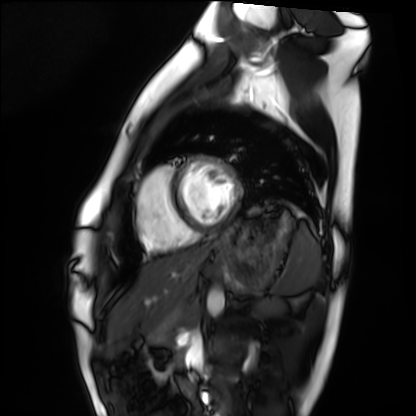
Q: What kind of scan is this?
A: Cardiac MRI.
Subject group: healthy volunteer.